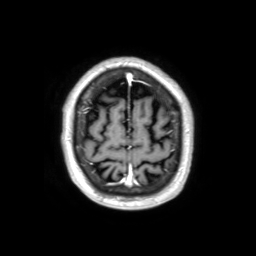
Q: What kind of scan is this?
A: 3 Tesla brain MRI.
Q: Series?
A: 3D T1-weighted TFE with SENSE.
Study: ring-enhancing brain masses.